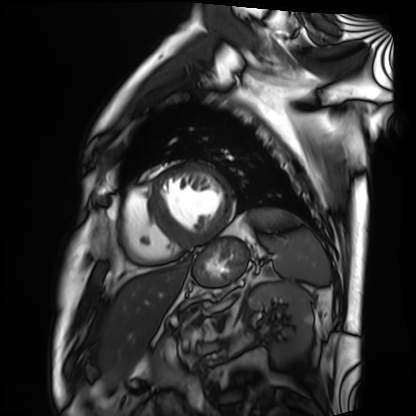
modality: cardiac MRI
subject group: patient